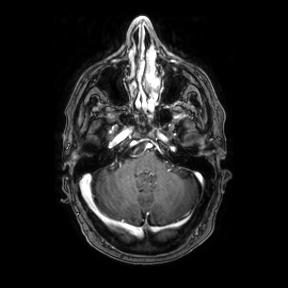
3 Tesla brain MRI.
Series: axial.
Study: ring-enhancing brain masses.